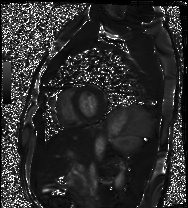
Cardiac MRI. Subject group: healthy volunteer.